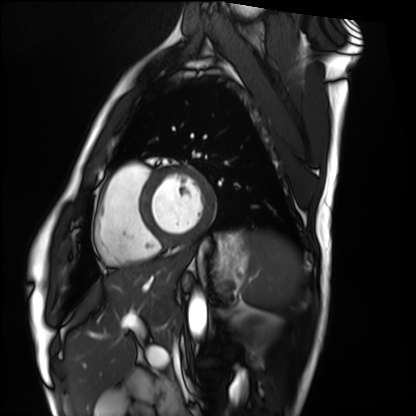
Cardiac MRI. Subject group: healthy volunteer.